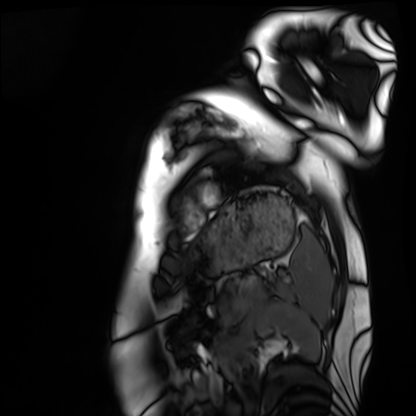
Cardiac MRI. Subject group: healthy volunteer.